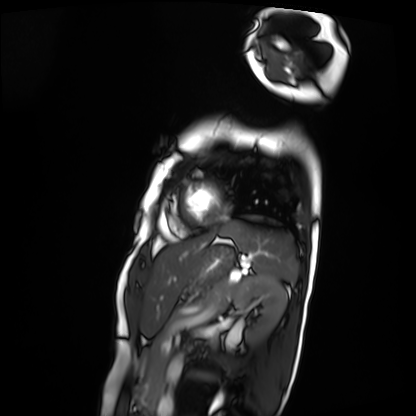
  modality: cardiac MRI
  cohort: patient